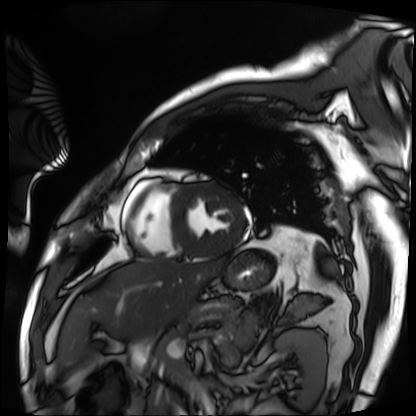
Cardiac MRI.
Subject group: patient.